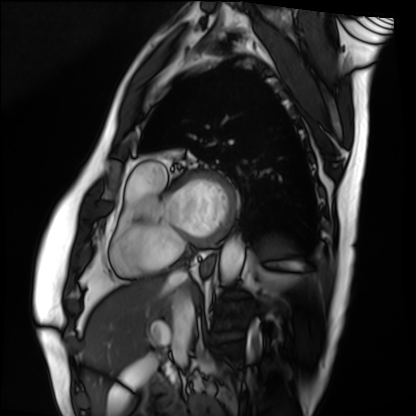
– modality · cardiac MRI
– subject group · patient